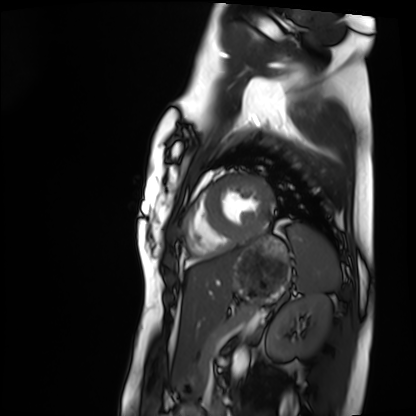
Cardiac MRI.
Subject group: healthy volunteer.